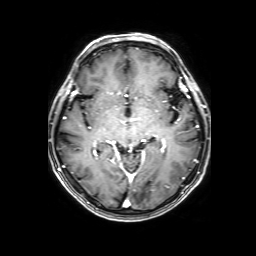
Case summary:
3 Tesla brain MRI. Series: 3D T1-weighted with SENSE. Study: ring-enhancing brain masses.